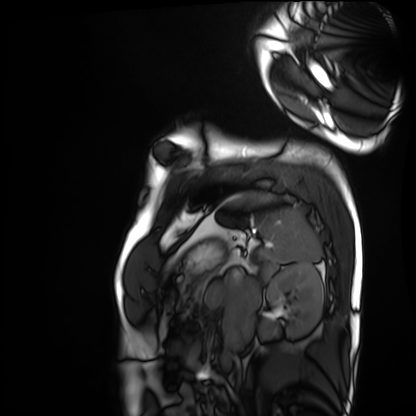
modality — cardiac MRI; subject group — healthy volunteer.